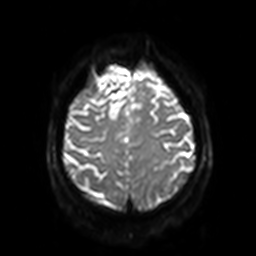
modality: 3 Tesla brain MRI; series: diffusion-weighted imaging with SENSE (WIP); study: ring-enhancing brain masses.